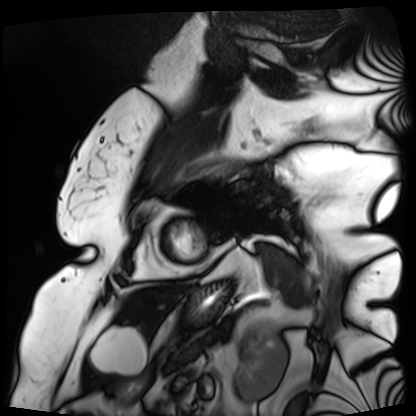
Cardiac MRI.
Subject group: patient.